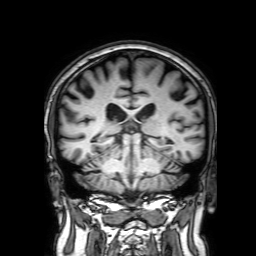
modality=3 Tesla brain MRI
series=3D T1-weighted with SENSE
study=ring-enhancing brain masses